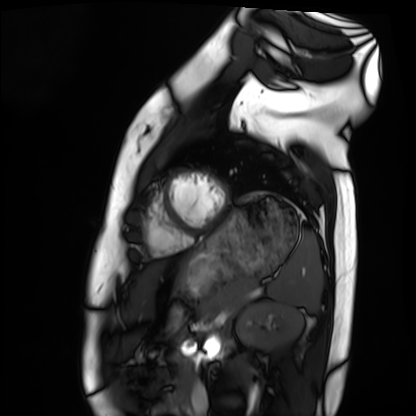
Cardiac MRI.
Subject group: healthy volunteer.